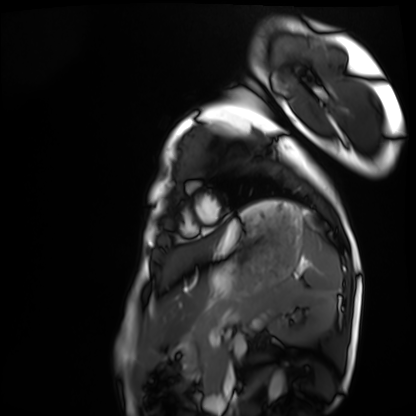
modality — cardiac MRI; subject group — healthy volunteer.